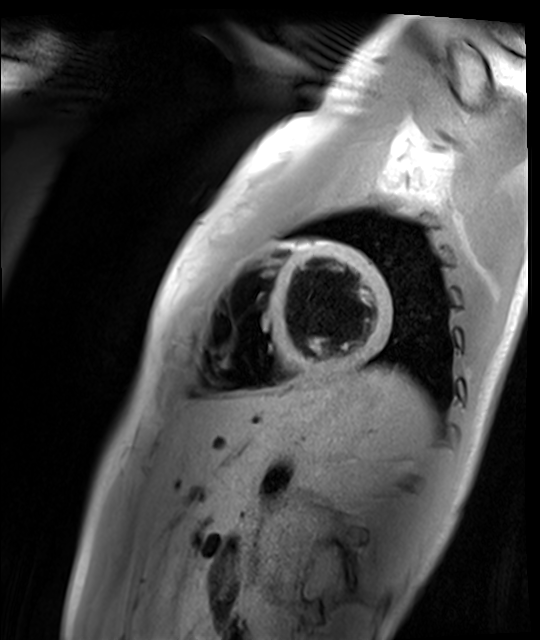
Cardiac MR image of the myocardium. Subject cohort: healthy volunteer.